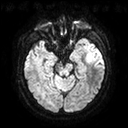
3 Tesla brain MRI. Series: diffusion tensor imaging (medium iso). Study: ring-enhancing brain masses.